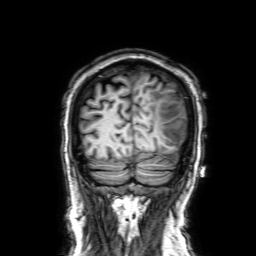
3 Tesla brain MRI. Study: ring-enhancing brain masses.